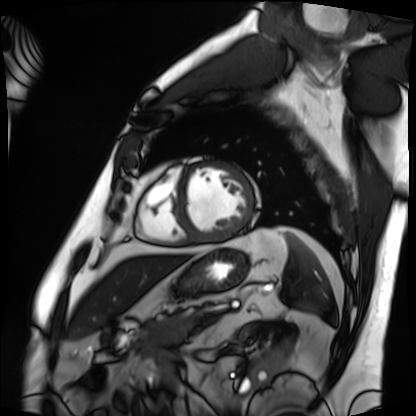
Cardiac MRI.
Subject group: patient.